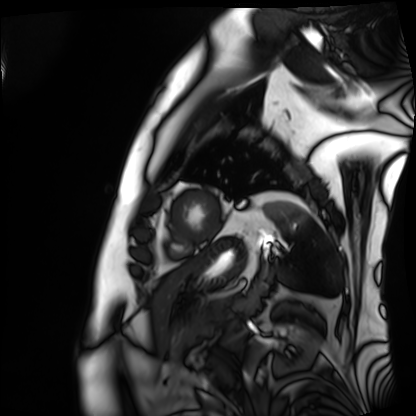
Cardiac MRI. Subject group: patient.